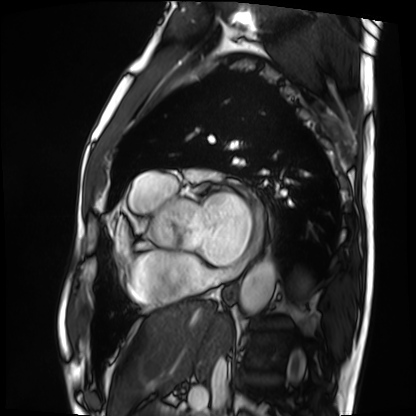
Cardiac MRI.
Subject group: patient.